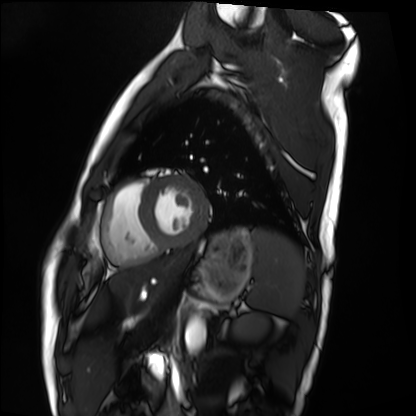
modality = cardiac MRI; subject group = healthy volunteer.